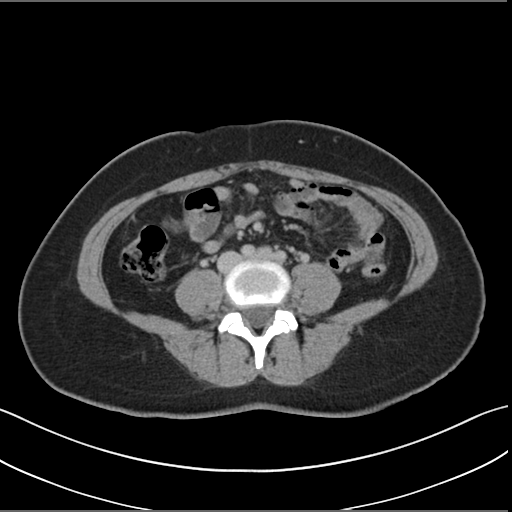
modality=multiphase abdominal CT, liver, delayed phase.